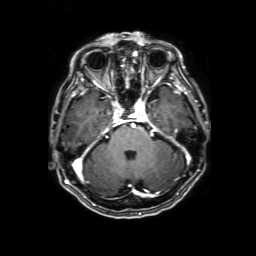
3 Tesla brain MRI.
Series: 3D T1-weighted with SENSE.
Study: ring-enhancing brain masses.